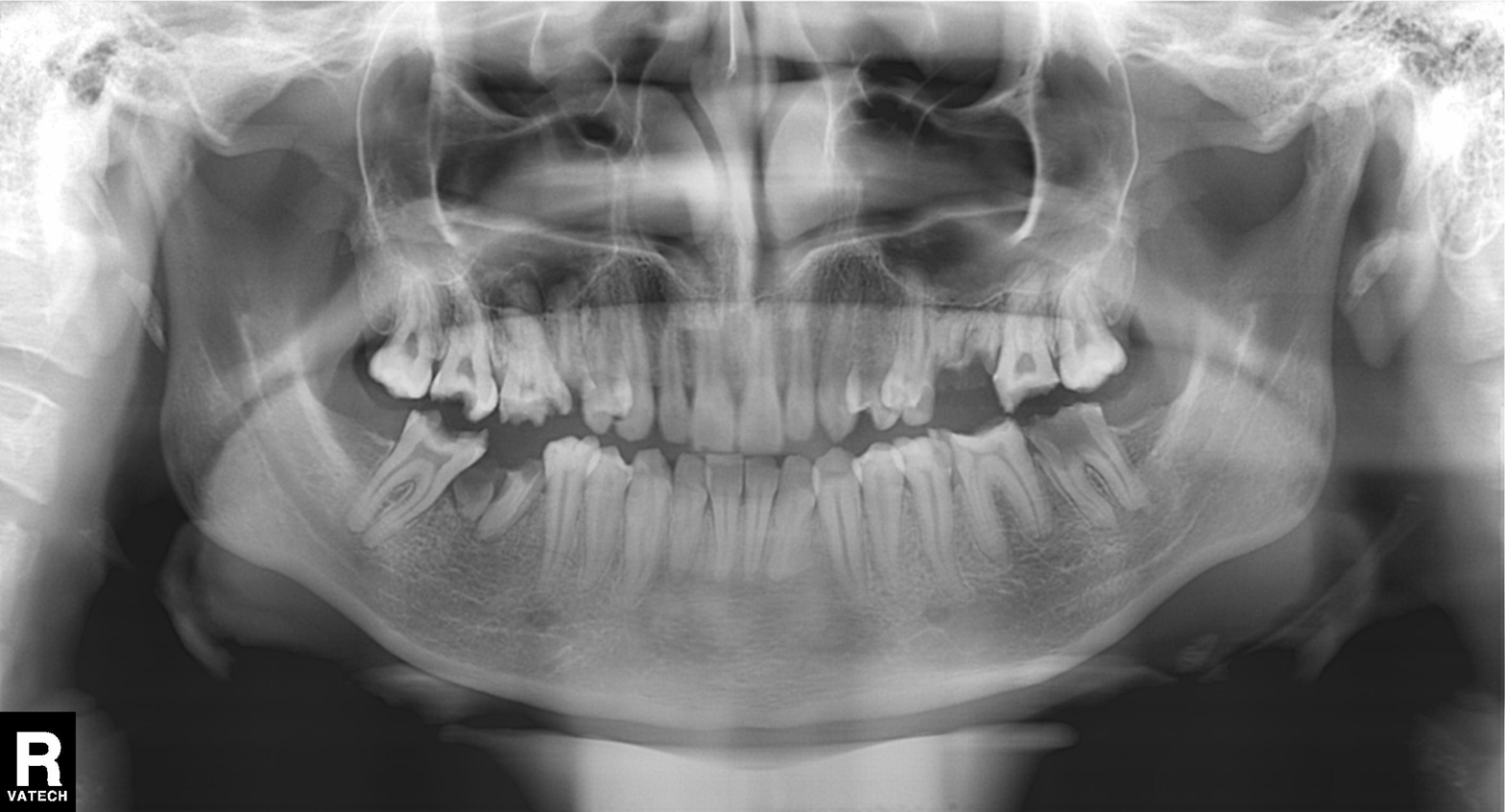
Panoramic dental radiograph (orthopantomogram).
Finding: tooth impaction.